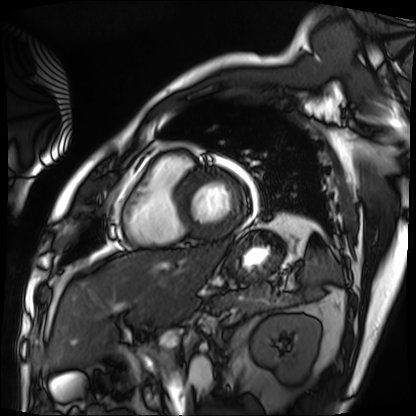
modality: cardiac MRI
cohort: patient